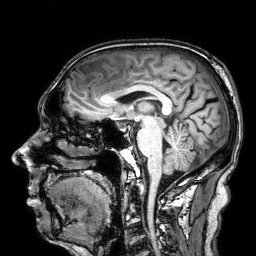
{
  "modality": {
    "type": "brain MRI",
    "field_strength": "3T"
  },
  "series": "3D T1-weighted",
  "study_topic": "ring-enhancing brain masses"
}